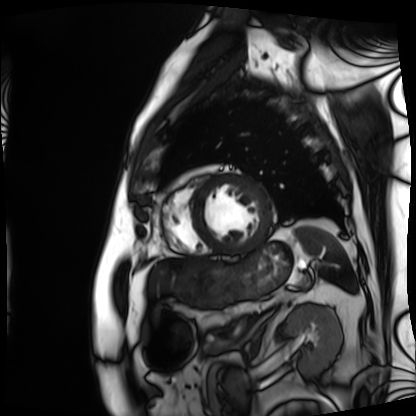
Q: What kind of scan is this?
A: Cardiac MRI.
Subject group: patient.